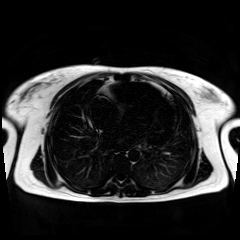
Chemical-shift-encoded cardiac MRI.